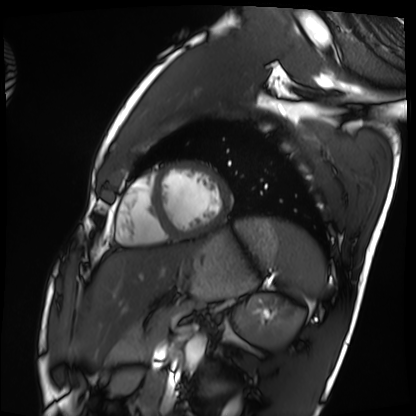
Summary: Cardiac MRI. Subject group: healthy volunteer.